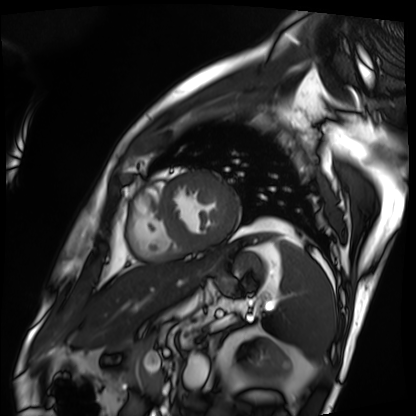
{
  "modality": "cardiac MRI",
  "cohort": "patient"
}